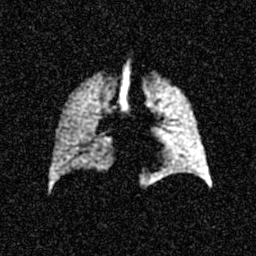
Hyperpolarized 129Xe ventilation MRI of the lungs.
SNR level 5 of 8 (the deposit holds this scan as its native image and as seven SNR-degraded versions).